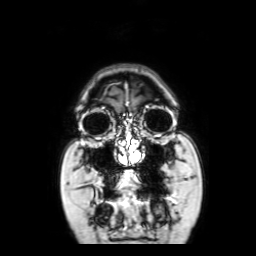
3 Tesla brain MRI.
Series: coronal with contrast.
Study: ring-enhancing brain masses.